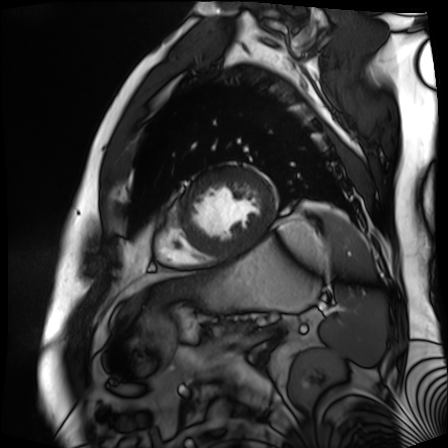
| field | value |
|---|---|
| modality | cardiac MR image of the myocardium |
| subject cohort | cardiac patient |